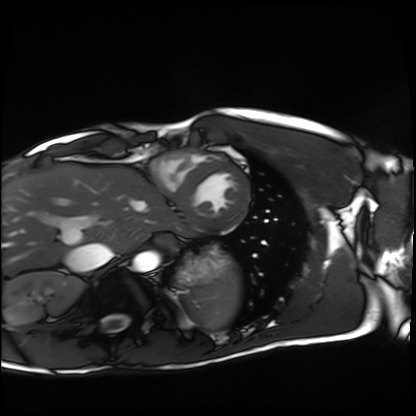
{"modality": "cardiac MRI", "cohort": "healthy volunteer"}